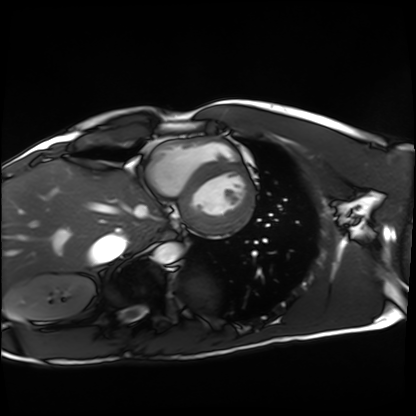
Cardiac MRI. Subject group: healthy volunteer.